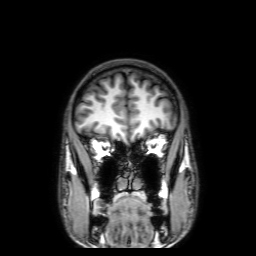
Summary:
3 Tesla brain MRI. Series: 3D T1-weighted with SENSE. Study: ring-enhancing brain masses.